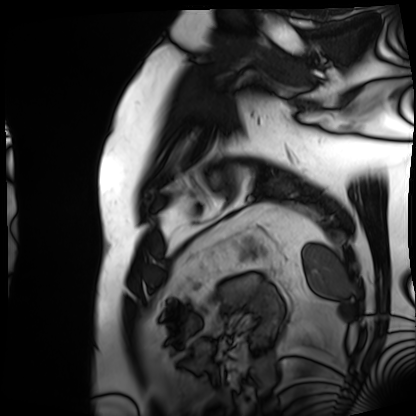
Cardiac MRI. Subject group: patient.